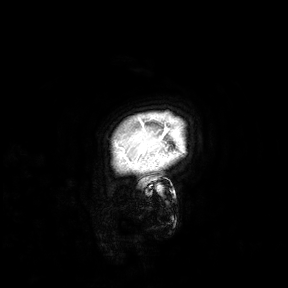
modality: 3 Tesla brain MRI
study: ring-enhancing brain masses